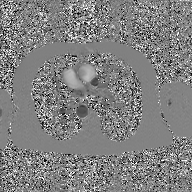
Case summary: 2D phase-contrast cine MRI of the ascending aorta, GAN super-resolution reconstruction.